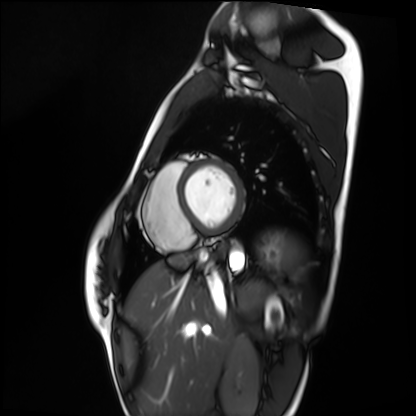
modality: cardiac MRI
subject group: healthy volunteer